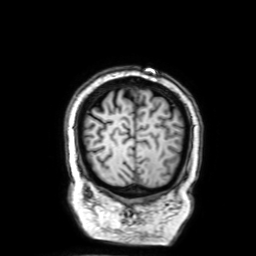
Q: What kind of scan is this?
A: 3 Tesla brain MRI.
Q: Series?
A: 3D T1-weighted with SENSE.
Study: ring-enhancing brain masses.